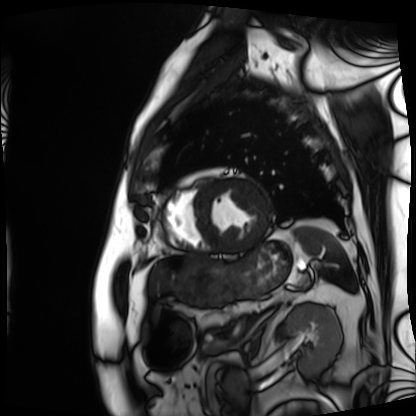
modality = cardiac MRI
subject group = patient